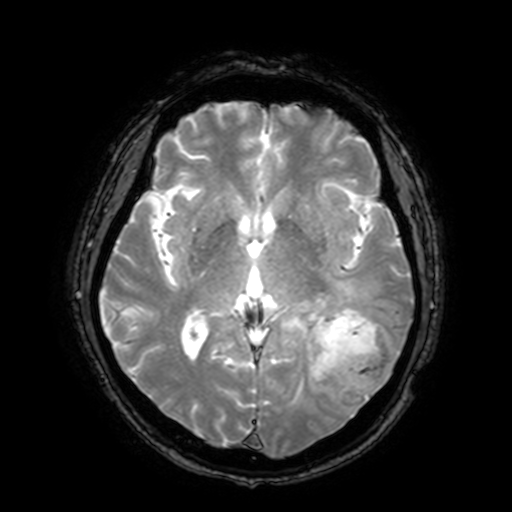
3 Tesla brain MRI. Series: T2-weighted fast field echo with SENSE. Study: ring-enhancing brain masses.